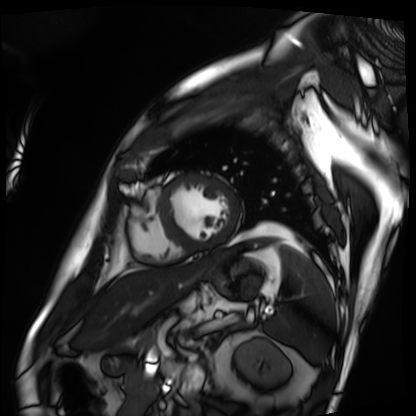
* modality: cardiac MRI
* subject group: patient